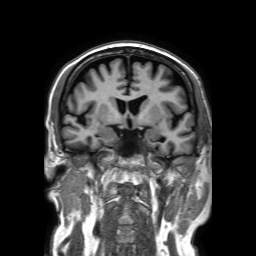
Clinical context: 3 Tesla brain MRI. Series: 3D T1-weighted TFE with SENSE. Study: ring-enhancing brain masses.